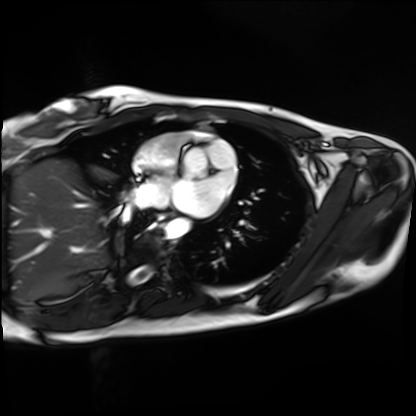
<scan>
  <modality>cardiac MRI</modality>
  <cohort>healthy volunteer</cohort>
</scan>